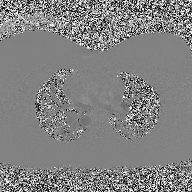
Q: What kind of scan is this?
A: 2D phase-contrast cine MRI of the ascending aorta.